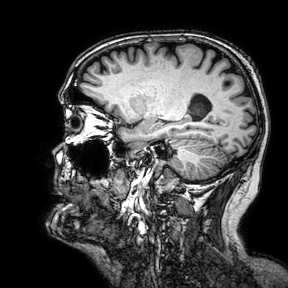
- modality · 3 Tesla brain MRI
- series · 3D T1-weighted turbo field echo with SENSE
- study · ring-enhancing brain masses